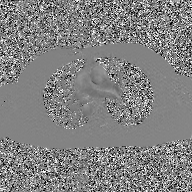
2D phase-contrast cine MRI of the ascending aorta, GAN super-resolution reconstruction.